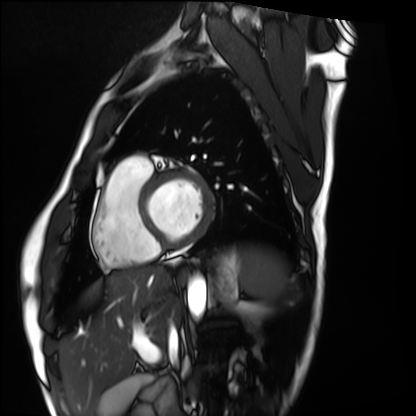
modality = cardiac MRI; subject group = healthy volunteer.